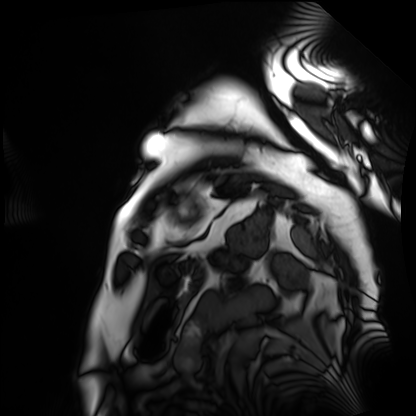
modality: cardiac MRI
cohort: patient